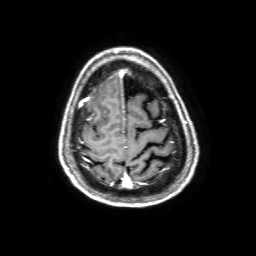
Summary:
3 Tesla brain MRI. Series: 3D T1-weighted with SENSE. Study: ring-enhancing brain masses.